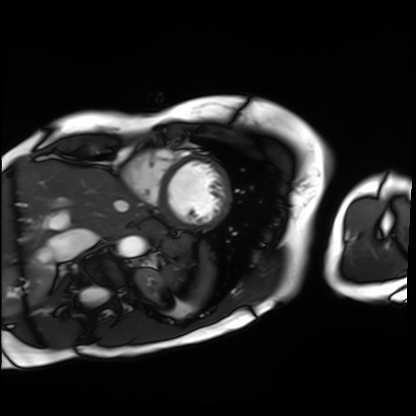
Q: What kind of scan is this?
A: Cardiac MRI.
Subject group: patient.